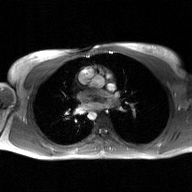
• modality — 2D phase-contrast cine MRI of the ascending aorta, GAN super-resolution reconstruction